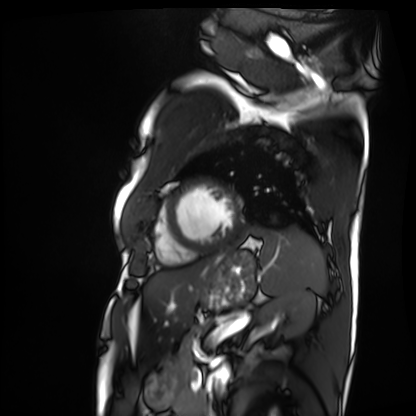
Cardiac MRI. Subject group: patient.